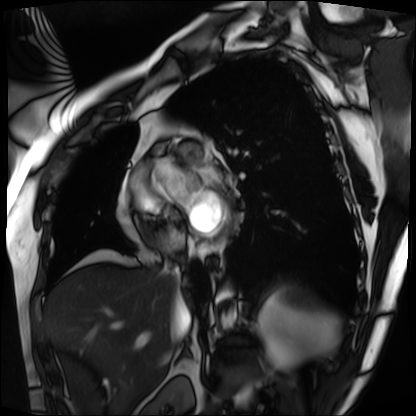
• modality: cardiac MRI
• subject group: patient